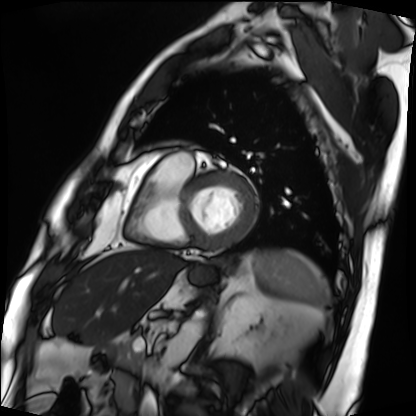
Cardiac MRI. Subject group: patient.